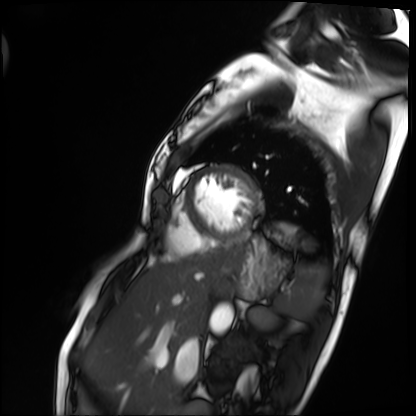
modality=cardiac MRI; subject group=patient.